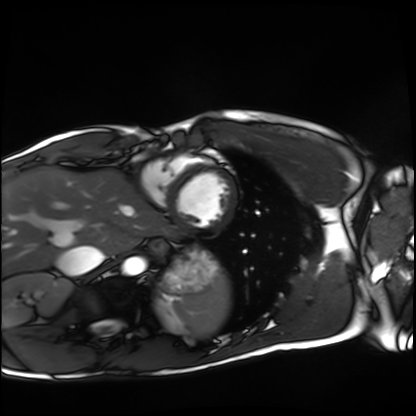
* modality · cardiac MRI
* subject group · healthy volunteer